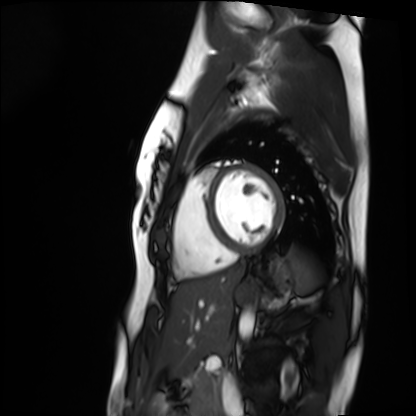
{"modality": "cardiac MRI", "cohort": "healthy volunteer"}